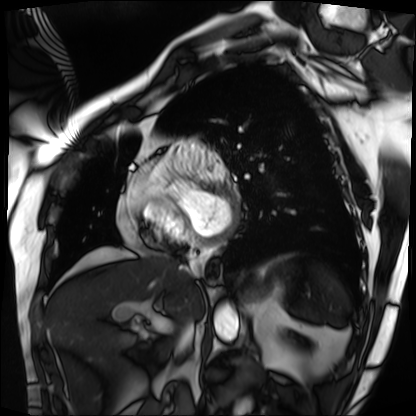
Cardiac MRI. Subject group: patient.